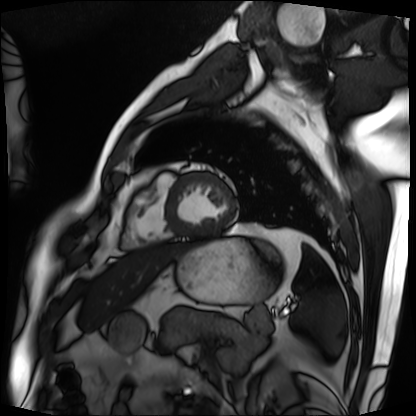
Cardiac MRI.
Subject group: patient.